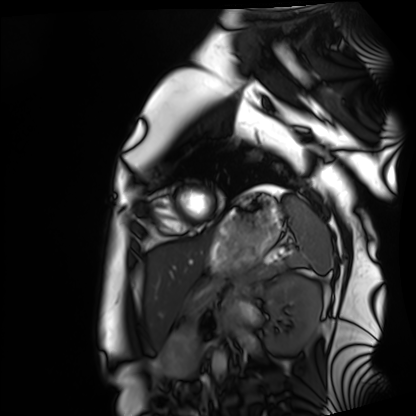
modality = cardiac MRI | subject group = healthy volunteer.